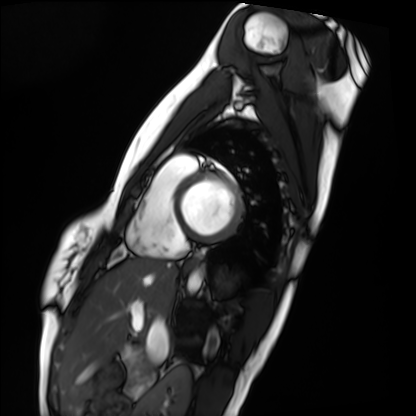
modality=cardiac MRI; subject group=healthy volunteer.